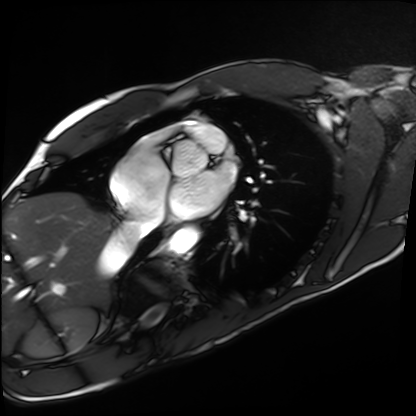
<case>
<modality>cardiac MRI</modality>
<cohort>healthy volunteer</cohort>
</case>